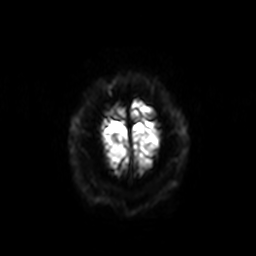
Clinical context:
3 Tesla brain MRI. Series: diffusion-weighted imaging with SENSE (WIP). Study: ring-enhancing brain masses.